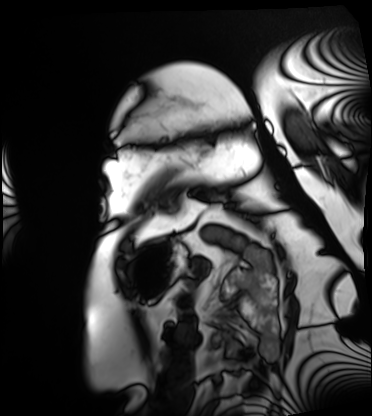
{"modality": "cardiac MRI", "cohort": "patient"}